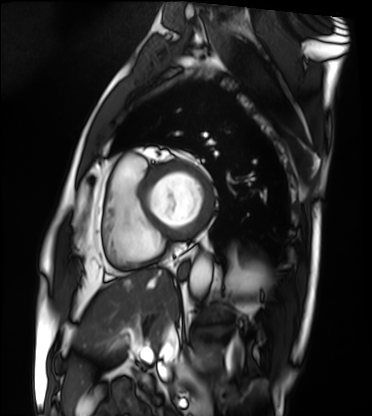
{"modality": "cardiac MRI", "cohort": "patient"}